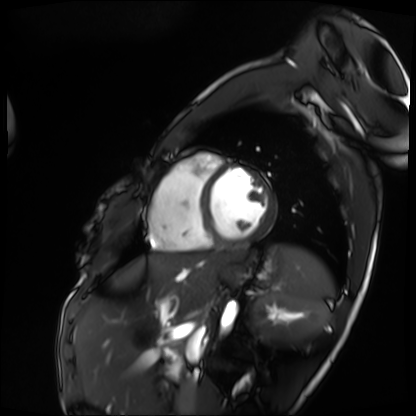
modality — cardiac MRI | subject group — patient.